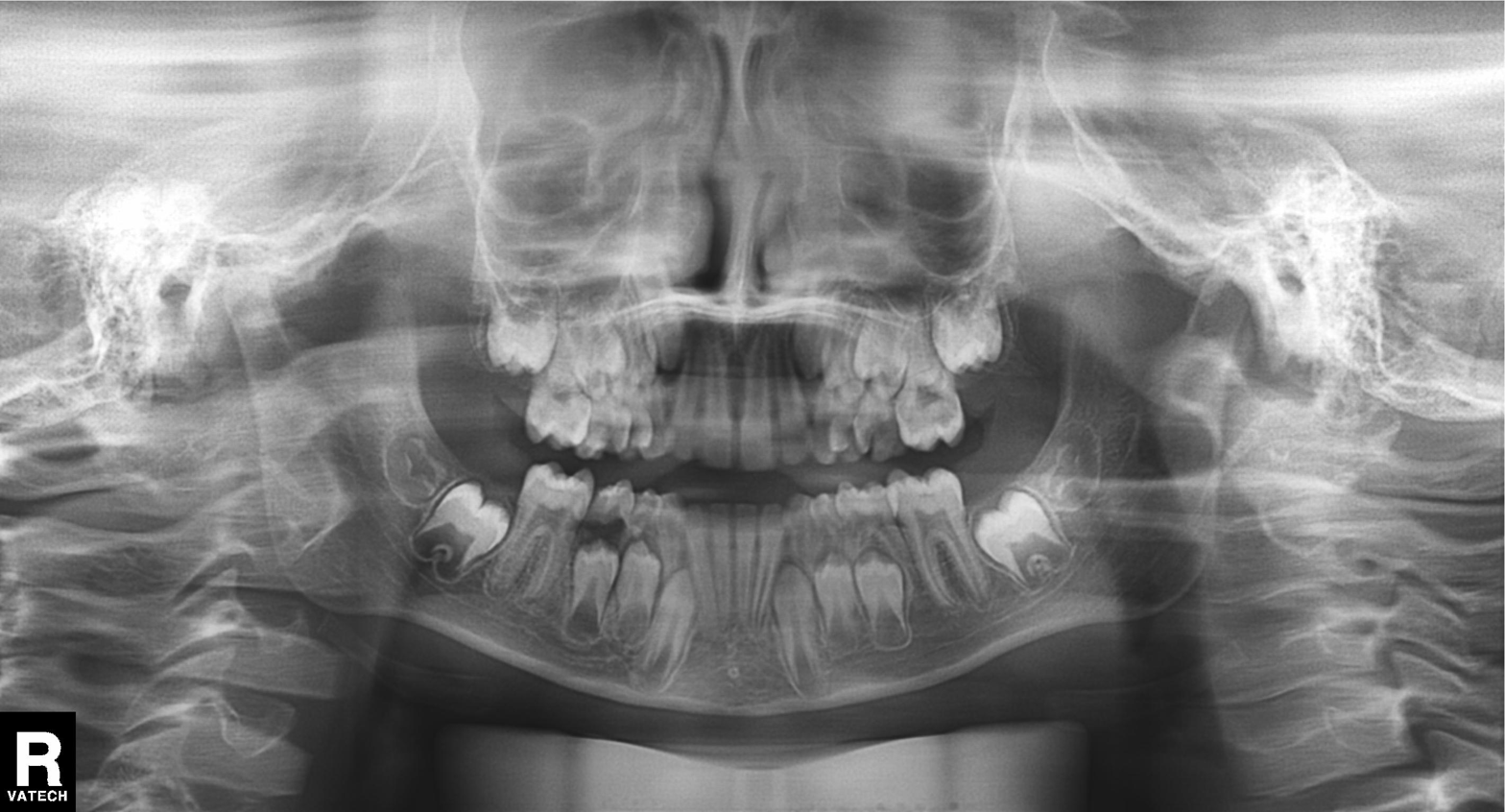
Panoramic dental radiograph (orthopantomogram).
Finding: alveolar bone loss.